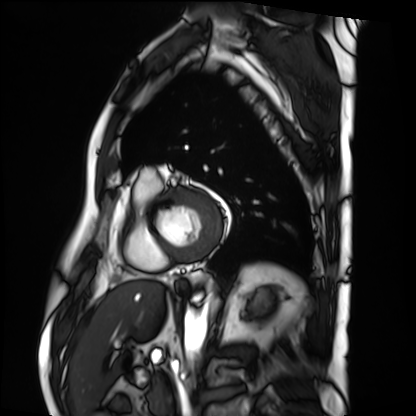
modality = cardiac MRI, subject group = patient.